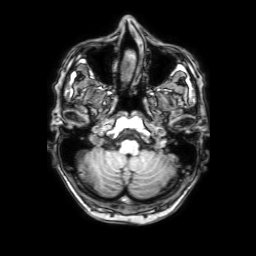
3 Tesla brain MRI. Series: 3D T1-weighted with SENSE. Study: ring-enhancing brain masses.